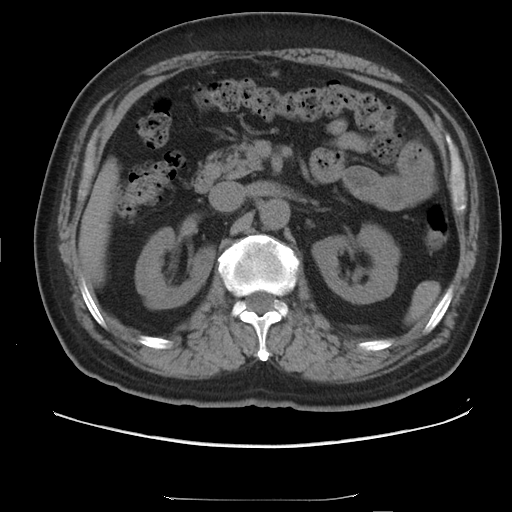
modality: multiphase abdominal CT, liver, non-contrast phase
patient: male, age 68
history: cirrhosis, viral hepatitis, prior chemotherapy